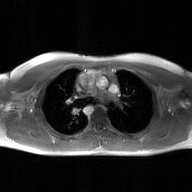
2D phase-contrast cine MRI of the ascending aorta, GAN super-resolution reconstruction.